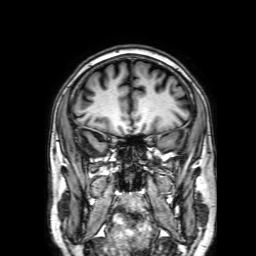
Q: What kind of scan is this?
A: 3 Tesla brain MRI.
Q: Series?
A: 3D T1-weighted with SENSE.
Study: ring-enhancing brain masses.